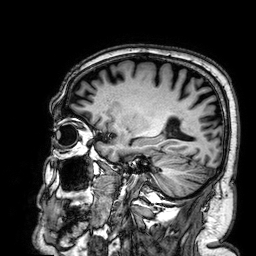
Q: What kind of scan is this?
A: 3 Tesla brain MRI.
Q: Series?
A: 3D T1-weighted.
Study: ring-enhancing brain masses.